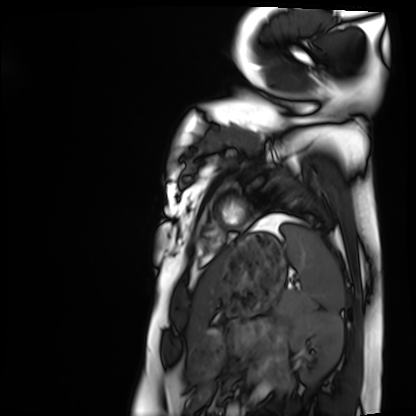
Cardiac MRI. Subject group: healthy volunteer.